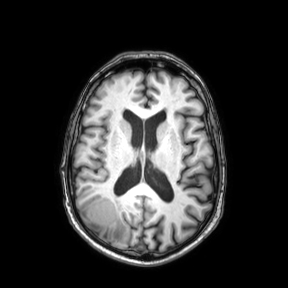
Summary:
3 Tesla brain MRI. Series: axial. Study: ring-enhancing brain masses.